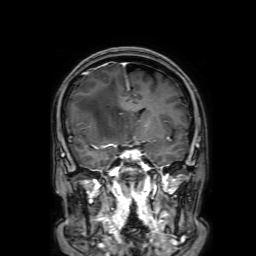
modality: 3 Tesla brain MRI; study: ring-enhancing brain masses.